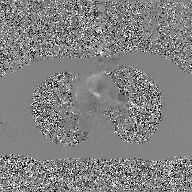
<scan>
  <modality>
    <type>2D phase-contrast cine MRI</type>
    <region>ascending aorta</region>
    <reconstruction>GAN super-resolution reconstruction</reconstruction>
  </modality>
</scan>